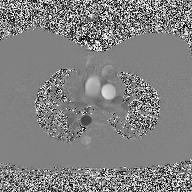
modality: 2D phase-contrast cine MRI of the ascending aorta.